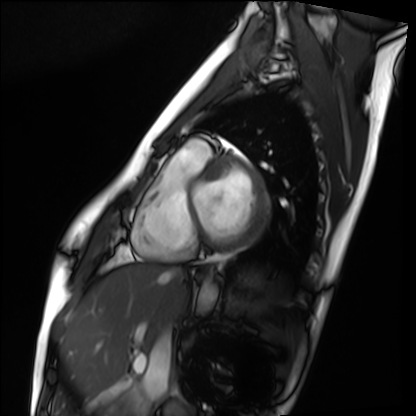
modality: cardiac MRI, subject group: healthy volunteer.